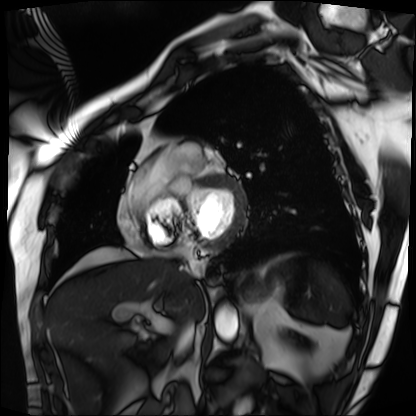
Clinical context:
Cardiac MRI. Subject group: patient.